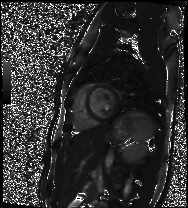
| field | value |
|---|---|
| modality | cardiac MR image of the myocardium |
| subject cohort | healthy volunteer |